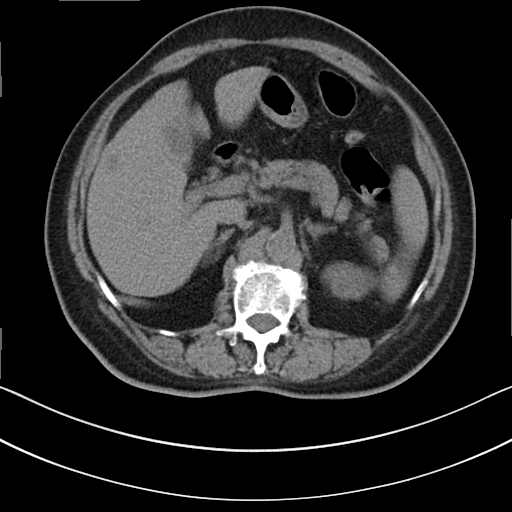
Multiphase abdominal CT, liver, non-contrast phase. Patient: female, age 76.